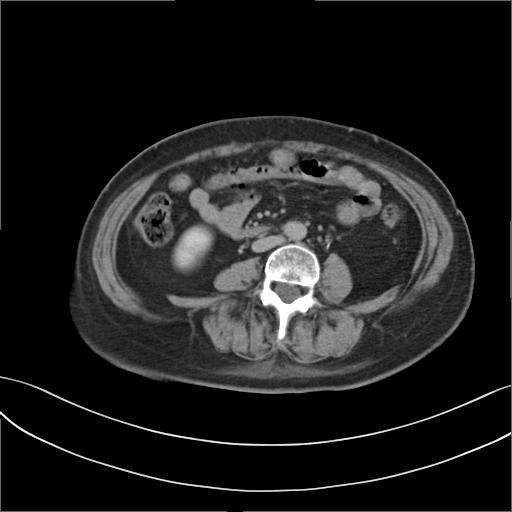
Multiphase abdominal CT, liver, delayed phase.